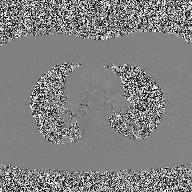
Clinical context:
2D phase-contrast cine MRI of the ascending aorta, high-resolution GRAPPA acquisition.